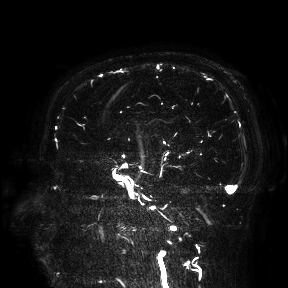
3 Tesla brain MRI. Study: ring-enhancing brain masses.